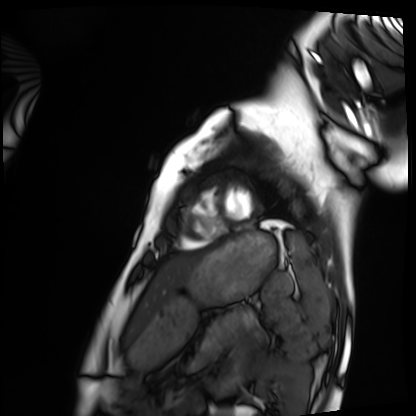
Q: What kind of scan is this?
A: Cardiac MRI.
Subject group: healthy volunteer.